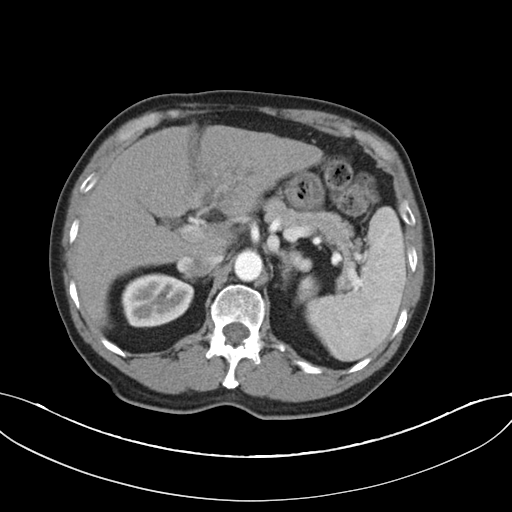
Q: What kind of scan is this?
A: Multiphase abdominal CT, liver, arterial phase.
Q: Patient?
A: Male, age 75.